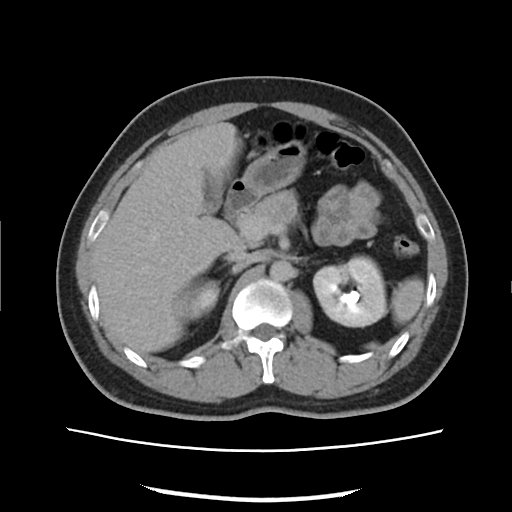
Summary: Multiphase abdominal CT, liver, delayed phase. Patient: male, age 33.